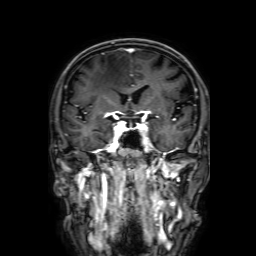
Case:
* modality — 3 Tesla brain MRI
* series — 3D T1-weighted with SENSE
* study — ring-enhancing brain masses